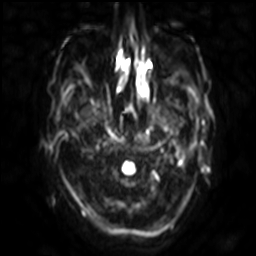
Clinical context:
3 Tesla brain MRI. Series: diffusion-weighted imaging with SENSE (WIP). Study: ring-enhancing brain masses.